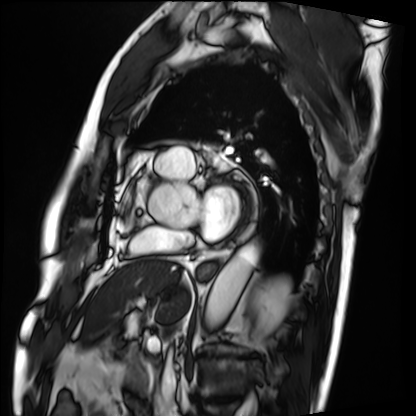
Summary:
Cardiac MRI. Subject group: patient.